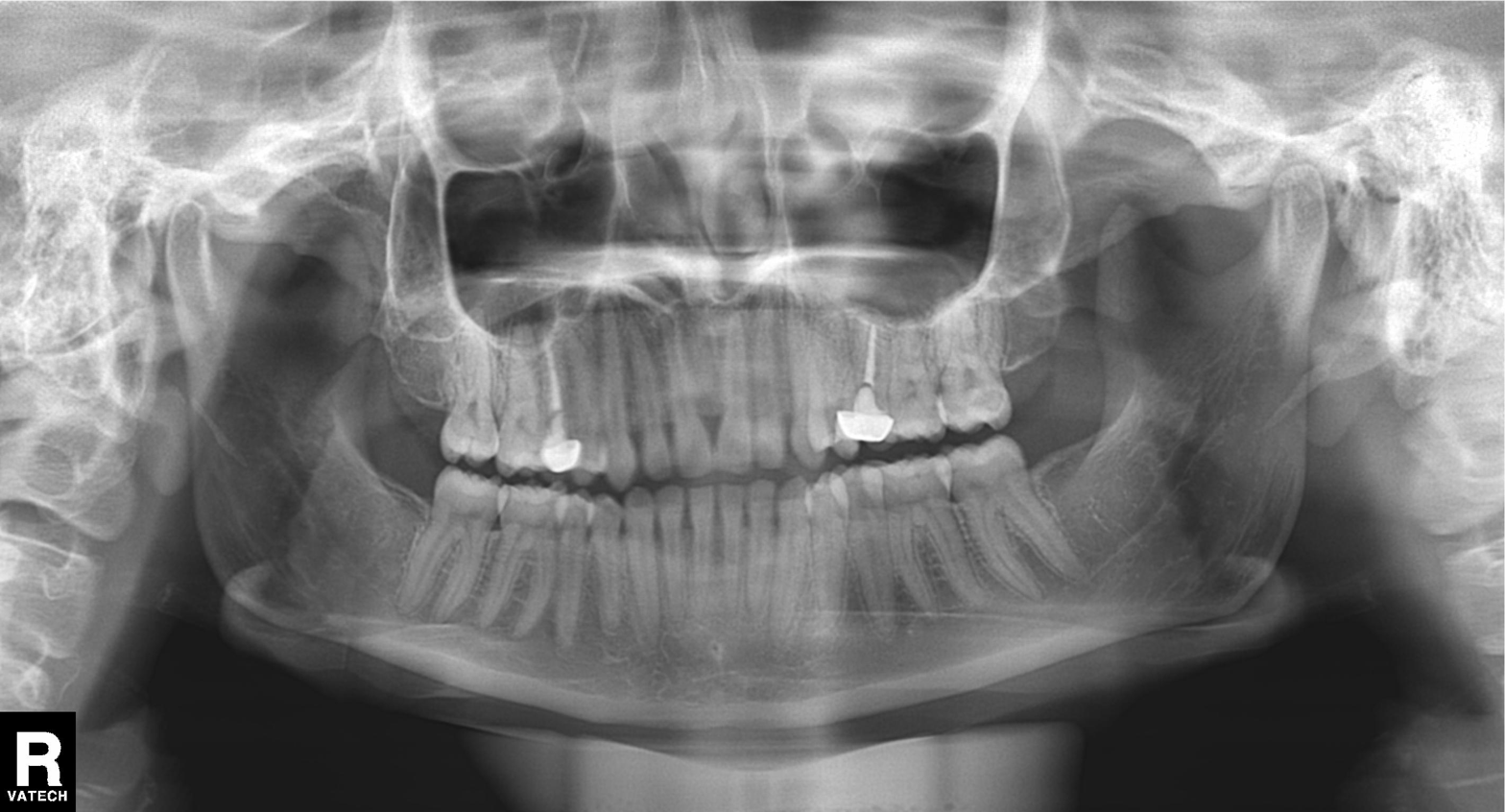
Panoramic dental radiograph (orthopantomogram). Finding: alveolar bone loss.